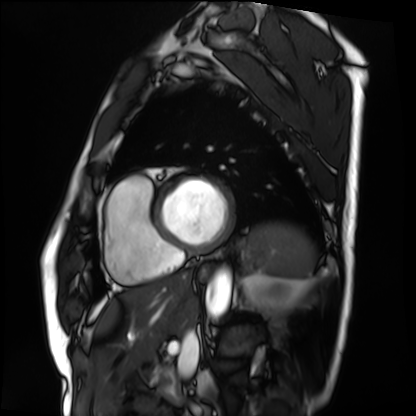
| field | value |
|---|---|
| modality | cardiac MRI |
| subject group | patient |